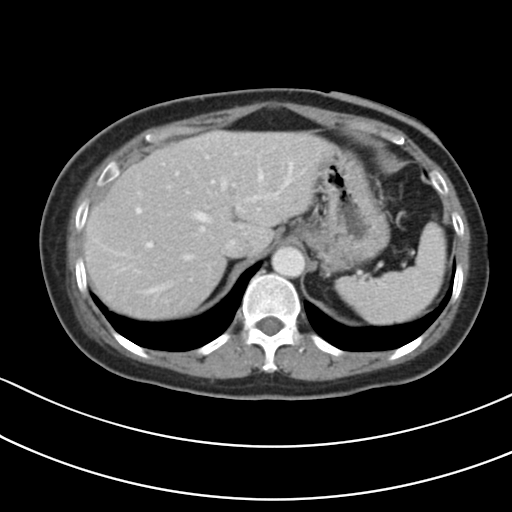
Q: What kind of scan is this?
A: Multiphase abdominal CT, liver, portal venous phase.
Q: Patient?
A: Female, age 54.